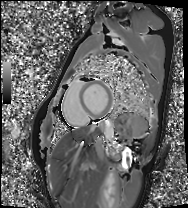
Case:
* modality · cardiac MRI
* subject group · healthy volunteer